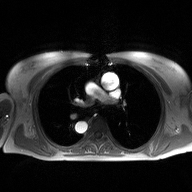
<record>
  <modality>
    <type>2D phase-contrast cine MRI</type>
    <region>ascending aorta</region>
    <reconstruction>high-resolution GRAPPA acquisition</reconstruction>
  </modality>
</record>